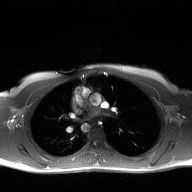
modality: 2D phase-contrast cine MRI of the ascending aorta